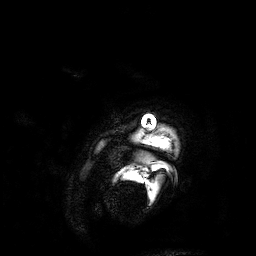
| field | value |
|---|---|
| modality | 3 Tesla brain MRI |
| series | 3D T1-weighted |
| study | ring-enhancing brain masses |